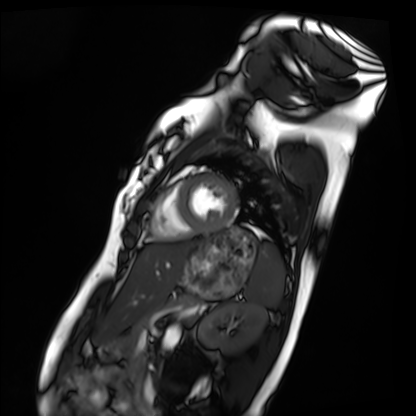
Cardiac MRI.
Subject group: healthy volunteer.